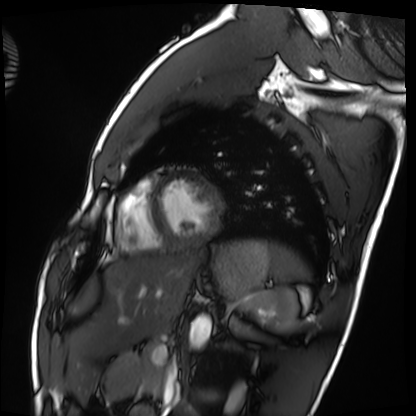
Case summary: Cardiac MRI. Subject group: healthy volunteer.